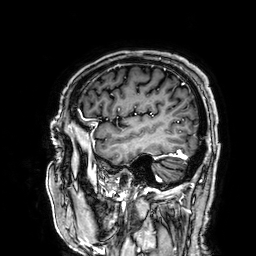
3 Tesla brain MRI. Study: ring-enhancing brain masses.